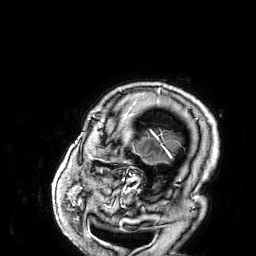
3 Tesla brain MRI.
Series: 3D T1-weighted.
Study: ring-enhancing brain masses.